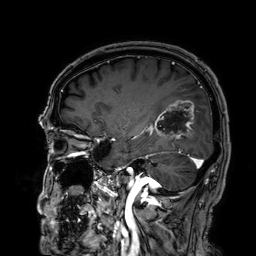
modality: 3 Tesla brain MRI; series: 3D T1-weighted; study: ring-enhancing brain masses.